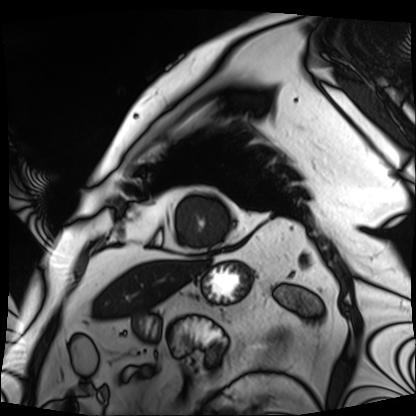
* modality: cardiac MRI
* subject group: patient